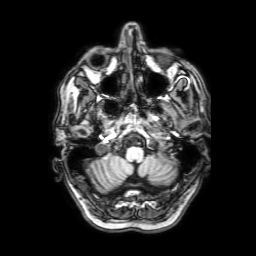
{"modality": {"type": "brain MRI", "field_strength": "3T"}, "series": "3D T1-weighted with SENSE", "study_topic": "ring-enhancing brain masses"}